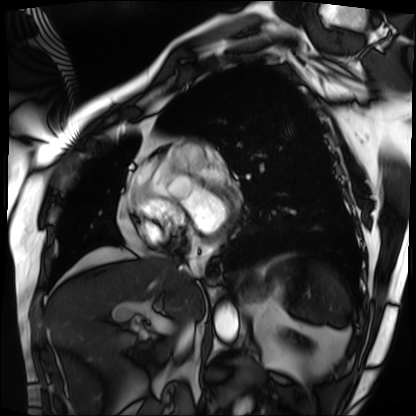
modality — cardiac MRI
subject group — patient